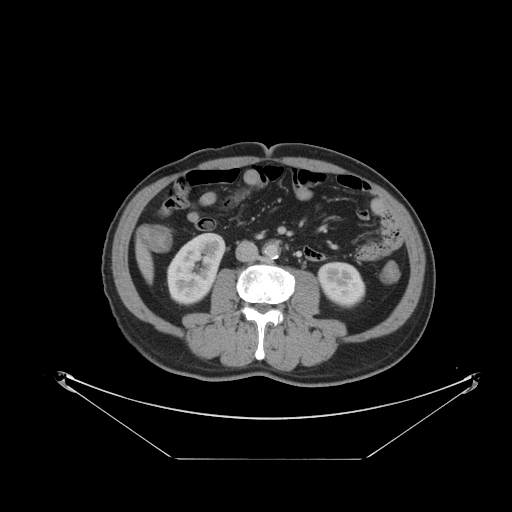
modality:
  type: multiphase abdominal CT
  region: liver
  phase: portal venous
patient:
  sex: male
  age: 64
history:
  - prior chemotherapy